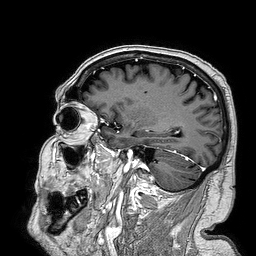
3 Tesla brain MRI.
Series: 3D T1-weighted turbo field echo.
Study: ring-enhancing brain masses.